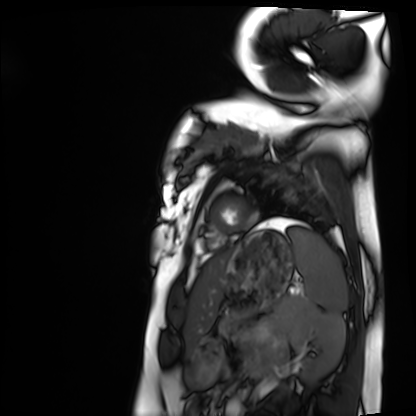
Summary: Cardiac MRI. Subject group: healthy volunteer.